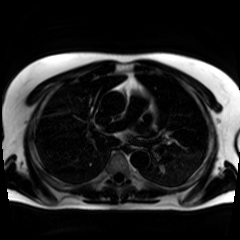
modality = chemical-shift-encoded cardiac MRI.